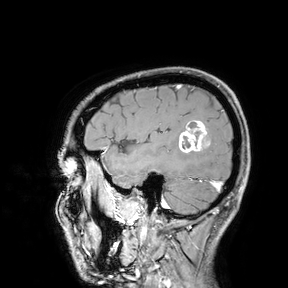
3 Tesla brain MRI.
Study: ring-enhancing brain masses.